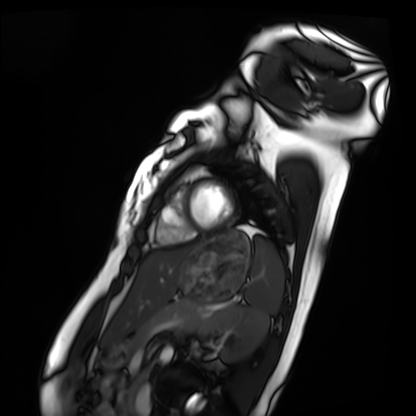
modality: cardiac MRI
cohort: healthy volunteer